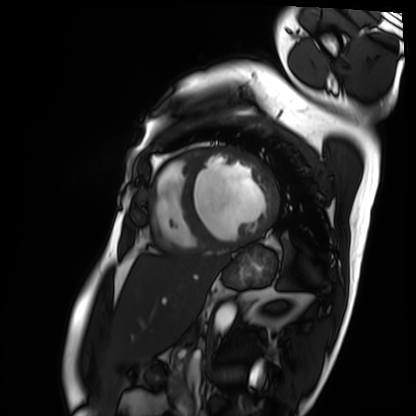
Cardiac MRI.
Subject group: patient.